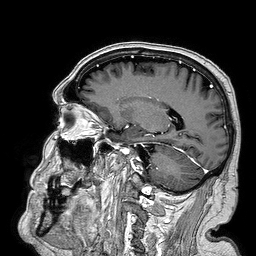
| field | value |
|---|---|
| modality | 3 Tesla brain MRI |
| series | 3D T1-weighted turbo field echo |
| study | ring-enhancing brain masses |